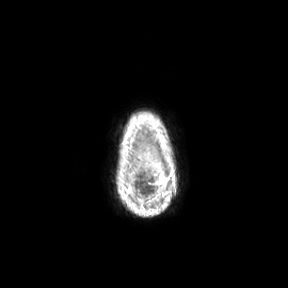
modality:
  type: brain MRI
  field_strength: 3T
study_topic: ring-enhancing brain masses